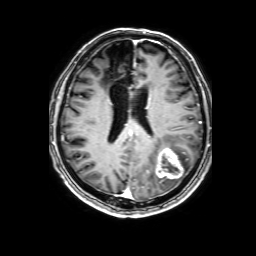
3 Tesla brain MRI.
Series: 3D T1-weighted with SENSE.
Study: ring-enhancing brain masses.